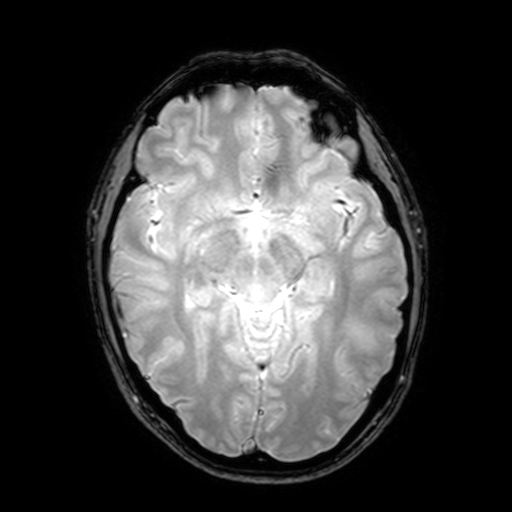
{"modality": {"type": "brain MRI", "field_strength": "3T"}, "series": "T2-weighted fast field echo with SENSE", "study_topic": "ring-enhancing brain masses"}